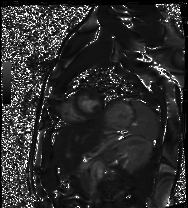
* modality · cardiac MRI
* subject group · healthy volunteer